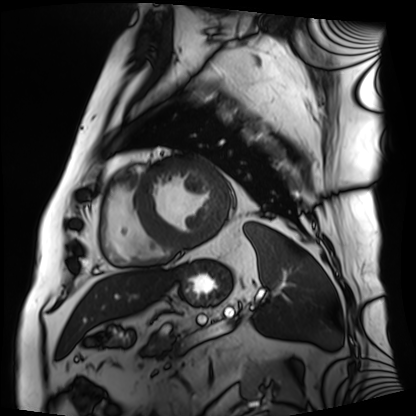
Cardiac MRI.
Subject group: patient.